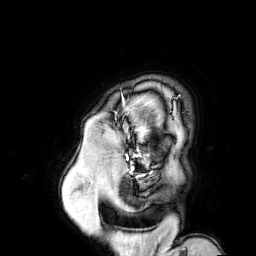
Summary: 3 Tesla brain MRI. Series: 3D T1-weighted turbo field echo with SENSE. Study: ring-enhancing brain masses.